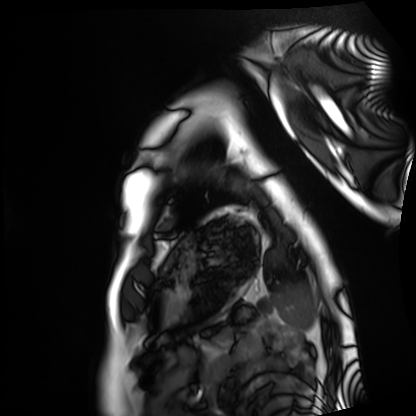
Cardiac MRI. Subject group: healthy volunteer.